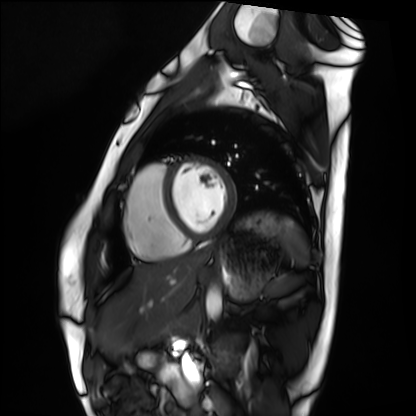
• modality · cardiac MRI
• subject group · healthy volunteer